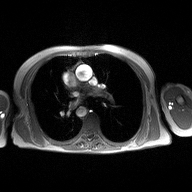
modality: 2D phase-contrast cine MRI of the ascending aorta.